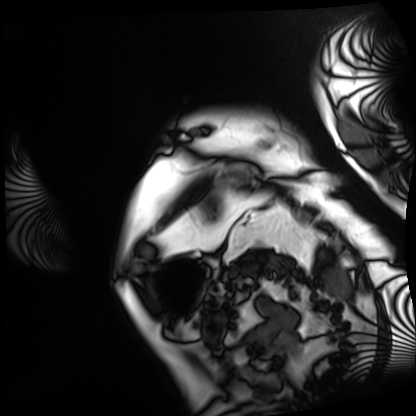
Q: What kind of scan is this?
A: Cardiac MRI.
Subject group: patient.